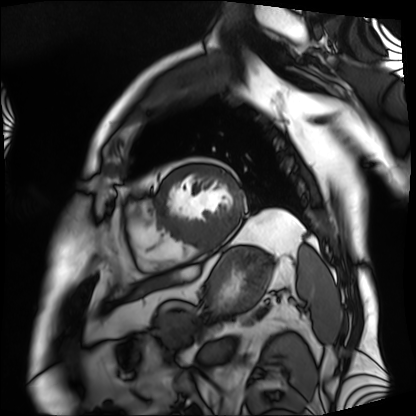
Cardiac MRI. Subject group: patient.